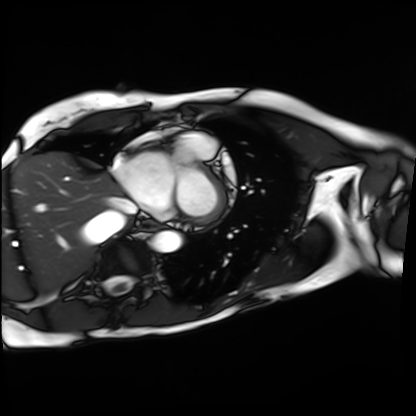
Cardiac MRI. Subject group: patient.